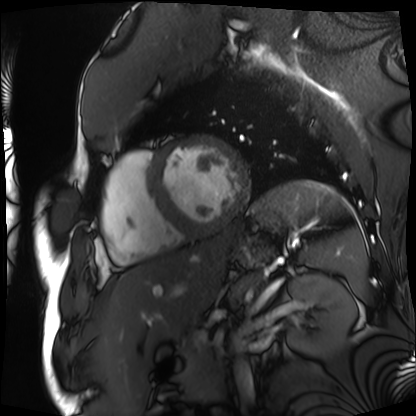
Summary:
Cardiac MRI. Subject group: patient.